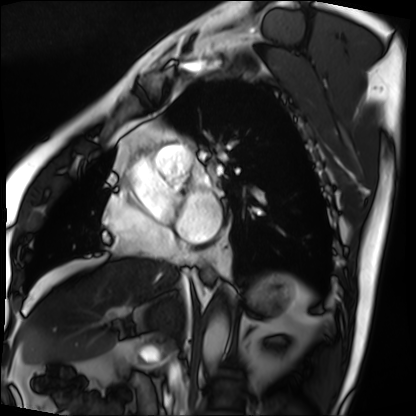
Cardiac MRI. Subject group: patient.